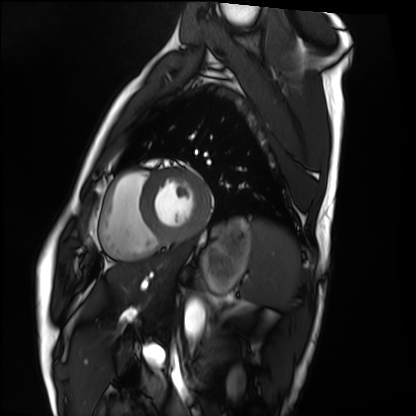
Clinical context: Cardiac MRI. Subject group: healthy volunteer.